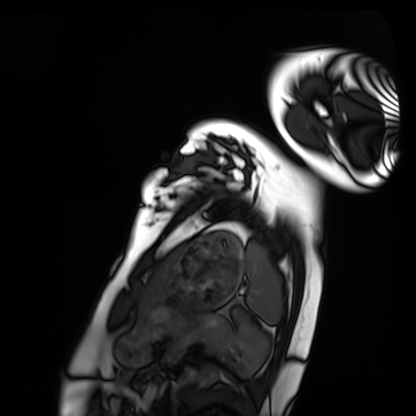
modality — cardiac MRI
subject group — healthy volunteer